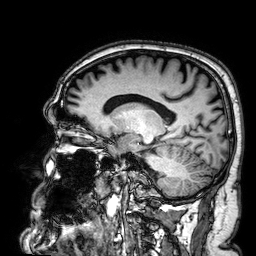
Q: What kind of scan is this?
A: 3 Tesla brain MRI.
Q: Series?
A: 3D T1-weighted.
Study: ring-enhancing brain masses.